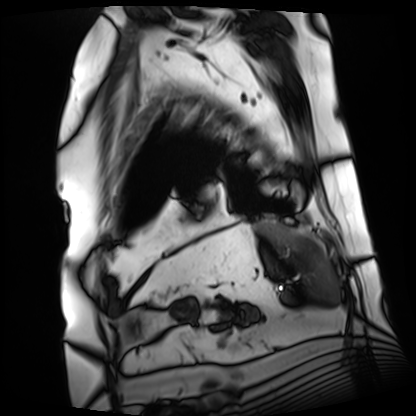
modality = cardiac MRI
subject group = patient